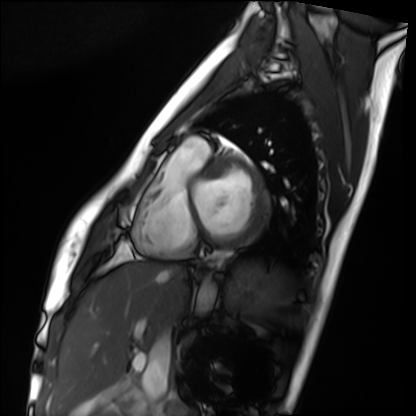
modality: cardiac MRI, subject group: healthy volunteer.